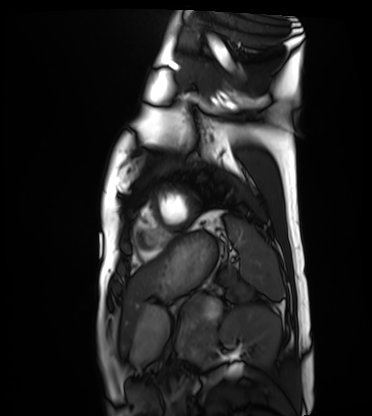
Q: What kind of scan is this?
A: Cardiac MRI.
Subject group: healthy volunteer.